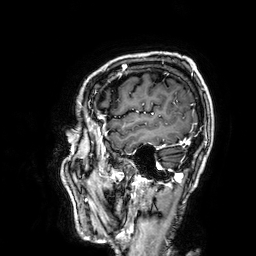
modality: 3 Tesla brain MRI
series: 3D T1-weighted
study: ring-enhancing brain masses